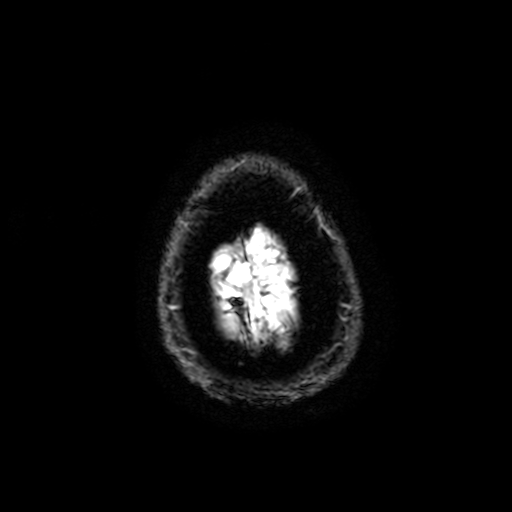
<case>
<modality>
  <type>brain MRI</type>
  <field_strength>3T</field_strength>
</modality>
<series>T2-weighted fast field echo with SENSE</series>
<study_topic>ring-enhancing brain masses</study_topic>
</case>